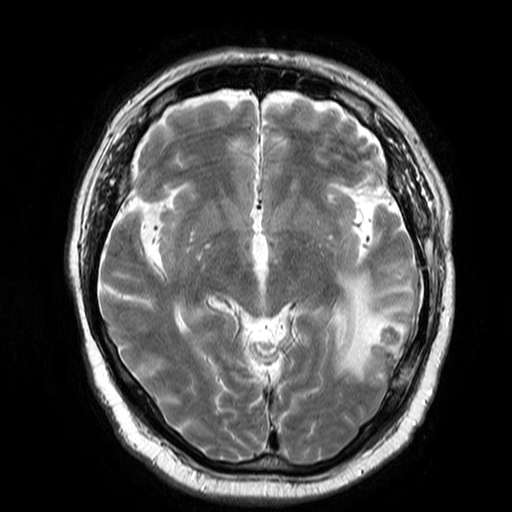
3 Tesla brain MRI. Series: T2-weighted turbo spin echo. Study: ring-enhancing brain masses.